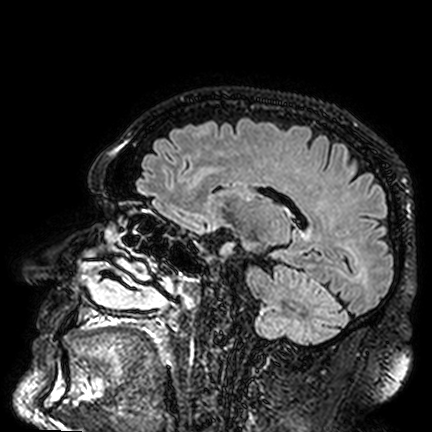
Summary:
3 Tesla brain MRI. Series: FLAIR VISTA. Study: ring-enhancing brain masses.